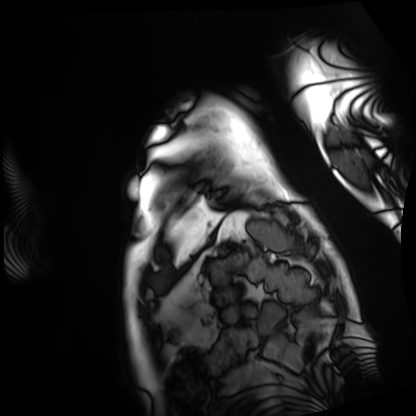
Cardiac MRI.
Subject group: patient.